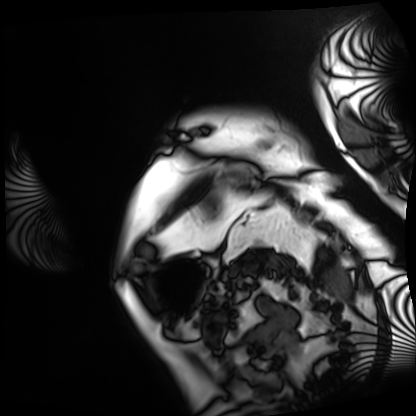
* modality · cardiac MRI
* subject group · patient